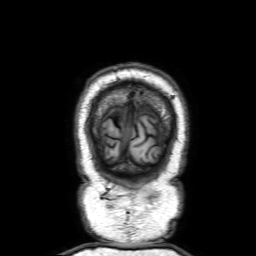
Case:
– modality: 3 Tesla brain MRI
– series: 3D T1-weighted with SENSE
– study: ring-enhancing brain masses